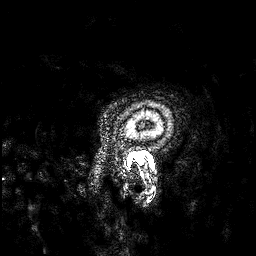
3 Tesla brain MRI.
Series: 3D T1-weighted.
Study: ring-enhancing brain masses.